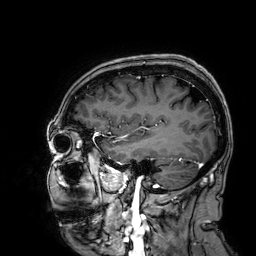
modality: 3 Tesla brain MRI; series: 3D T1-weighted; study: ring-enhancing brain masses.